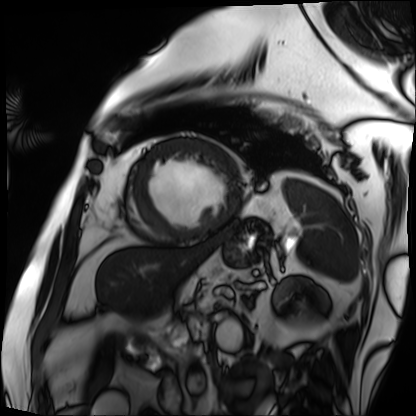
- modality: cardiac MRI
- subject group: patient